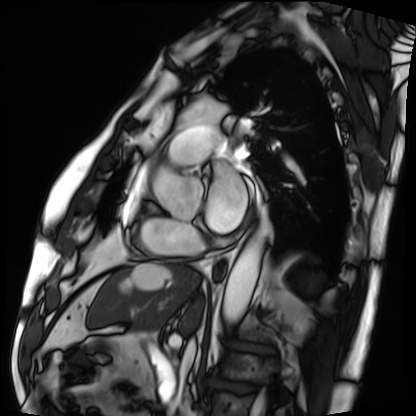
Case:
– modality — cardiac MRI
– subject group — patient